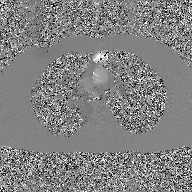
  modality:
    type: 2D phase-contrast cine MRI
    region: ascending aorta
    reconstruction: GAN super-resolution reconstruction